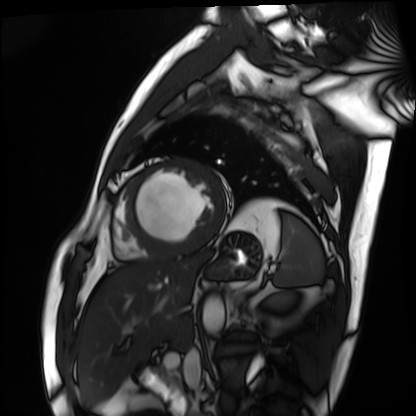
modality = cardiac MRI; subject group = patient.